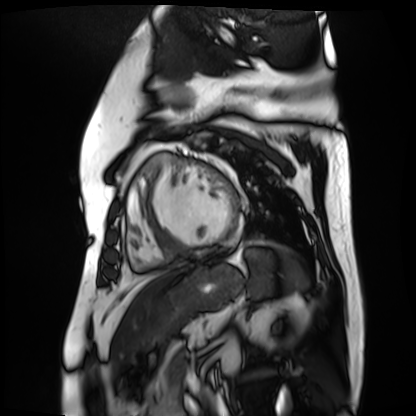
modality: cardiac MR image of the myocardium
subject cohort: cardiac patient